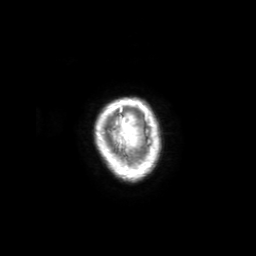
3 Tesla brain MRI. Series: 3D T1-weighted with SENSE. Study: ring-enhancing brain masses.